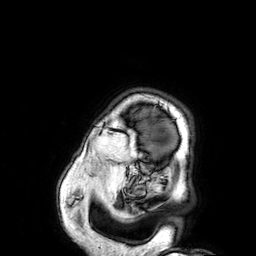
* modality — 3 Tesla brain MRI
* series — 3D T1-weighted
* study — ring-enhancing brain masses